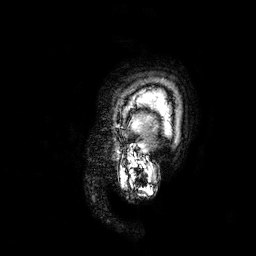
Summary:
3 Tesla brain MRI. Series: 3D T1-weighted. Study: ring-enhancing brain masses.